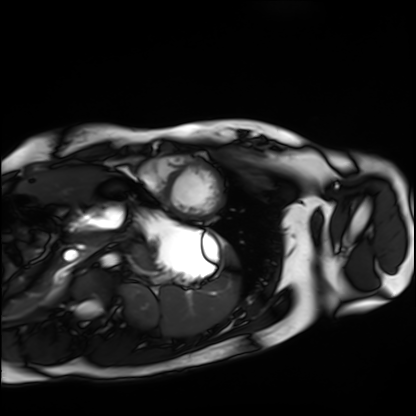
Case:
* modality — cardiac MRI
* subject group — healthy volunteer